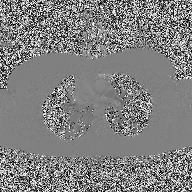
  modality:
    type: 2D phase-contrast cine MRI
    region: ascending aorta
    reconstruction: high-resolution GRAPPA acquisition